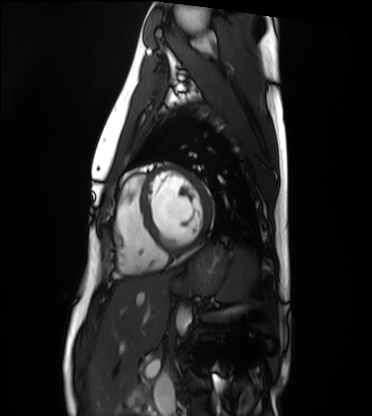
{
  "modality": "cardiac MRI",
  "cohort": "healthy volunteer"
}